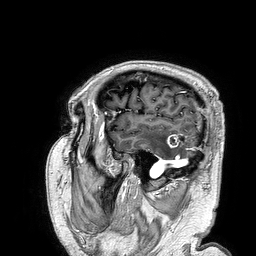
3 Tesla brain MRI. Series: 3D T1-weighted turbo field echo. Study: ring-enhancing brain masses.